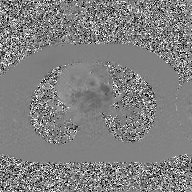
modality: 2D phase-contrast cine MRI of the ascending aorta, GAN super-resolution reconstruction.